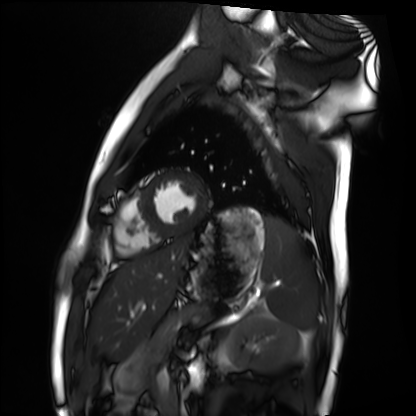
Cardiac MRI. Subject group: healthy volunteer.